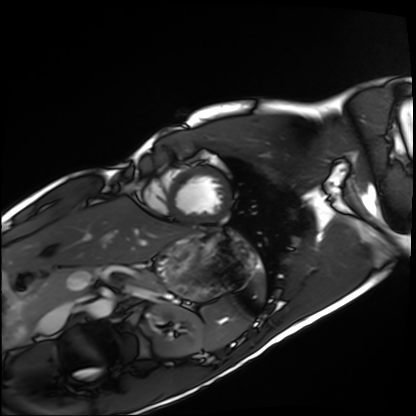
  modality: cardiac MRI
  cohort: healthy volunteer